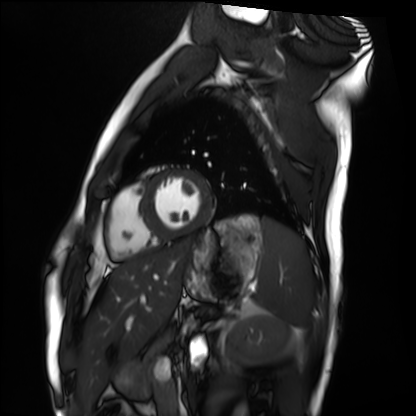
Cardiac MRI.
Subject group: healthy volunteer.